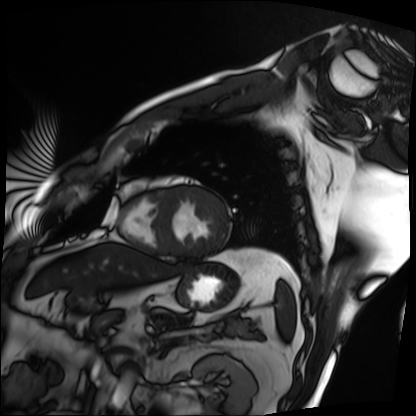
Summary:
Cardiac MRI. Subject group: patient.